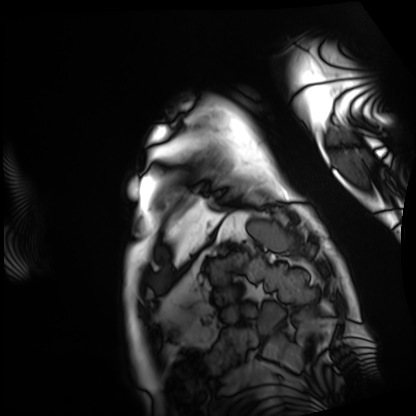
{"modality": "cardiac MRI", "cohort": "patient"}